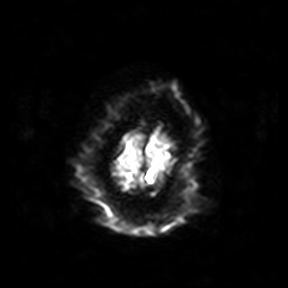
* modality: 3 Tesla brain MRI
* series: diffusion-weighted imaging
* study: ring-enhancing brain masses